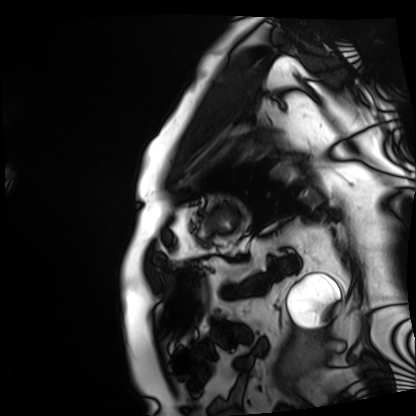
<record>
<modality>cardiac MRI</modality>
<cohort>patient</cohort>
</record>